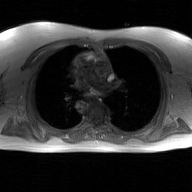
modality — 2D phase-contrast cine MRI of the ascending aorta, GAN super-resolution reconstruction